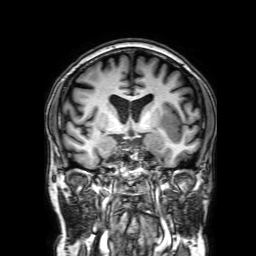
Clinical context:
3 Tesla brain MRI. Study: ring-enhancing brain masses.